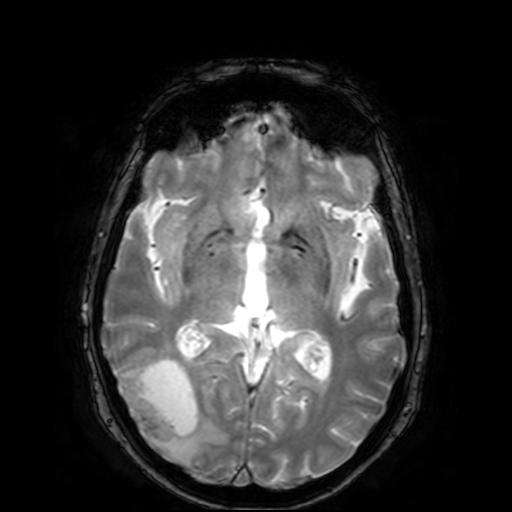
  modality:
    type: brain MRI
    field_strength: 3T
  series: T2-weighted fast field echo
  study_topic: ring-enhancing brain masses